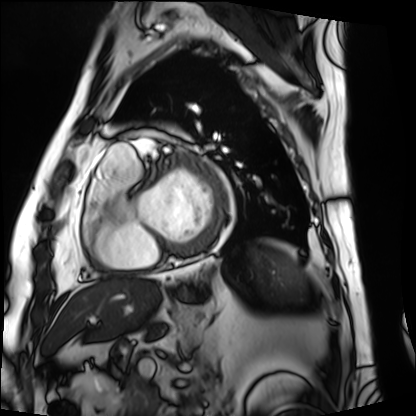
Cardiac MRI.
Subject group: patient.